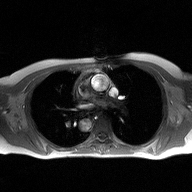
2D phase-contrast cine MRI of the ascending aorta, high-resolution GRAPPA acquisition.